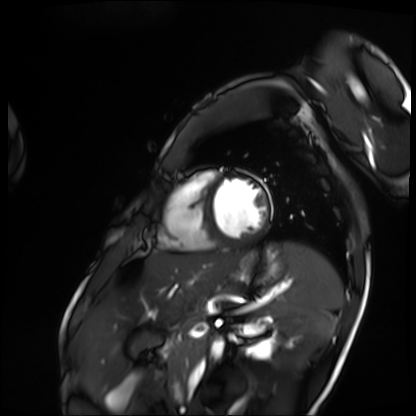
{
  "modality": "cardiac MRI",
  "cohort": "patient"
}